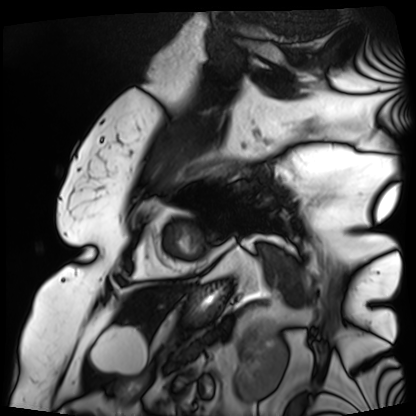
Q: What kind of scan is this?
A: Cardiac MRI.
Subject group: patient.